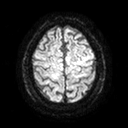
3 Tesla brain MRI. Series: diffusion tensor imaging (medium iso). Study: ring-enhancing brain masses.